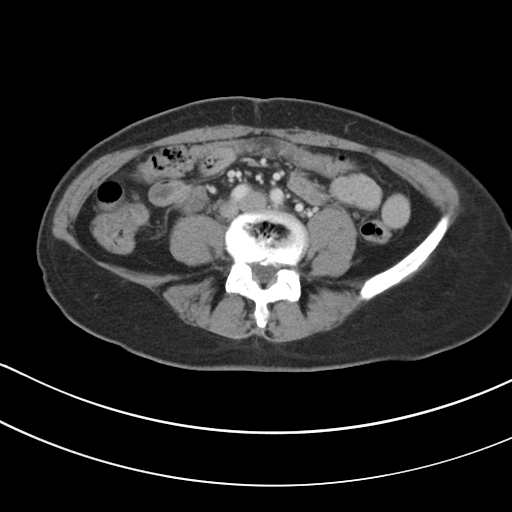
Multiphase abdominal CT, liver, portal venous phase. Patient: female, age 49.